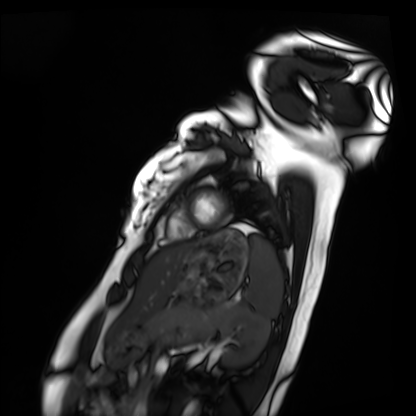
Clinical context: Cardiac MRI. Subject group: healthy volunteer.